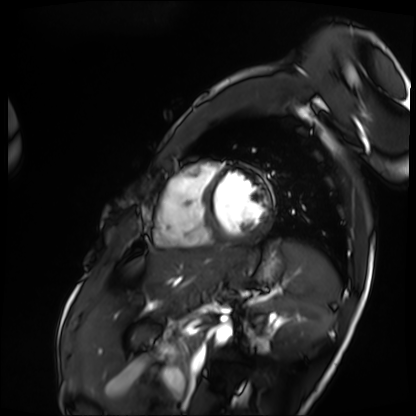
modality — cardiac MRI; subject group — patient.